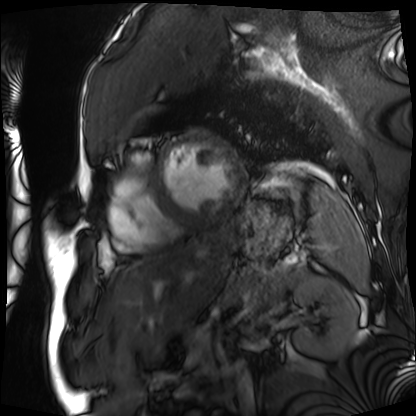
Cardiac MRI. Subject group: patient.